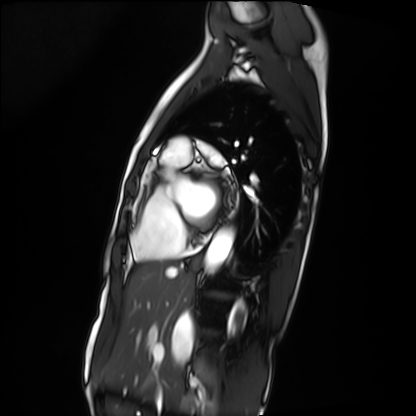
Q: What kind of scan is this?
A: Cardiac MRI.
Subject group: patient.